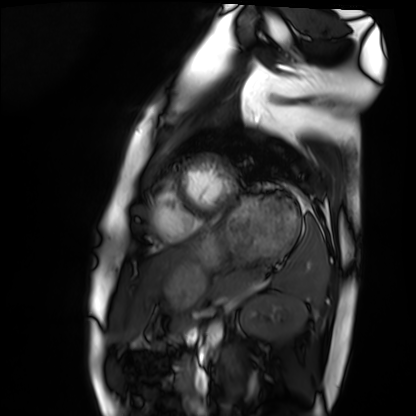
modality=cardiac MRI | subject group=healthy volunteer.